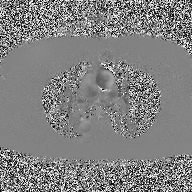
Q: What kind of scan is this?
A: 2D phase-contrast cine MRI of the ascending aorta.